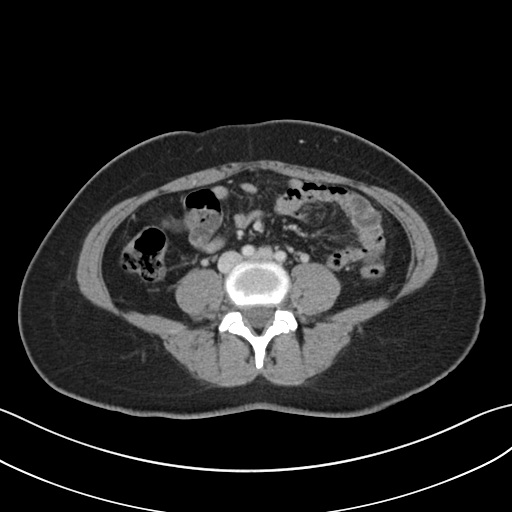
Summary:
Multiphase abdominal CT, liver, portal venous phase. Patient: female, age 45.